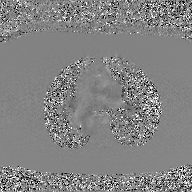
2D phase-contrast cine MRI of the ascending aorta, GAN super-resolution reconstruction.